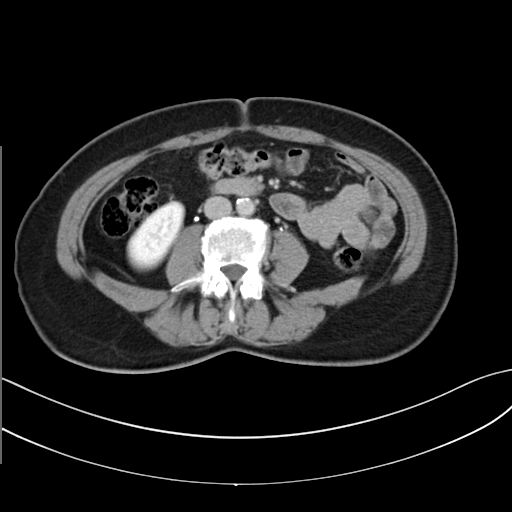
Q: What kind of scan is this?
A: Multiphase abdominal CT, liver, delayed phase.
Q: Patient?
A: Female, age 62.
Q: History?
A: Prior chemotherapy.